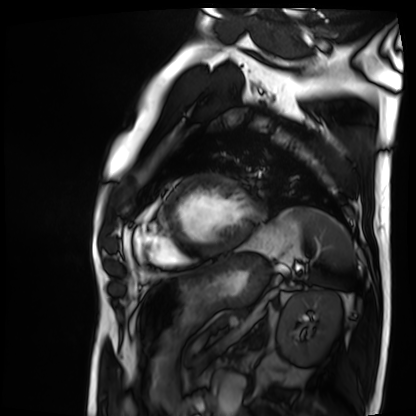
Case summary: Cardiac MRI. Subject group: patient.